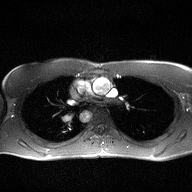
<scan>
<modality>
  <type>2D phase-contrast cine MRI</type>
  <region>ascending aorta</region>
  <reconstruction>high-resolution GRAPPA acquisition</reconstruction>
</modality>
</scan>